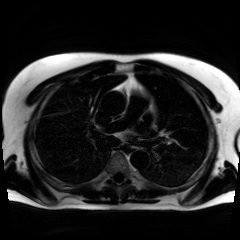
{"modality": "chemical-shift-encoded cardiac MRI"}